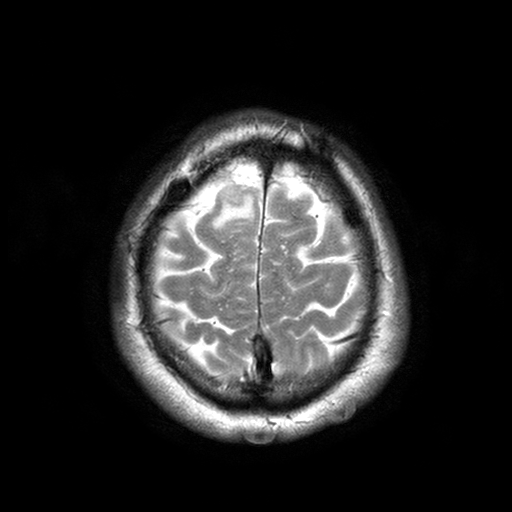
{
  "modality": {
    "type": "brain MRI",
    "field_strength": "3T"
  },
  "series": "T2-weighted turbo spin echo with SENSE",
  "study_topic": "ring-enhancing brain masses"
}